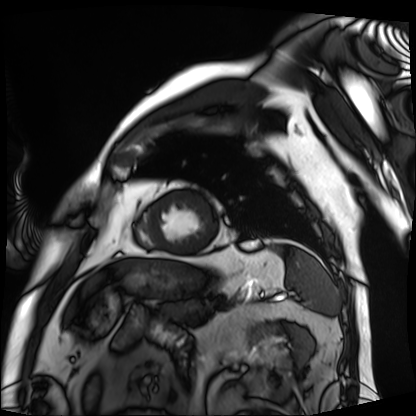
- modality: cardiac MRI
- subject group: patient